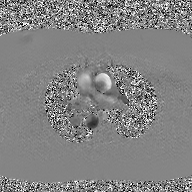
Clinical context: 2D phase-contrast cine MRI of the ascending aorta, GAN super-resolution reconstruction.